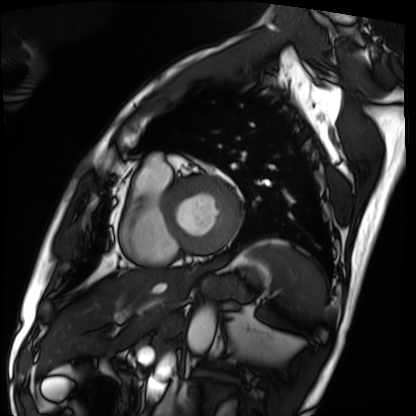
Summary:
Cardiac MRI. Subject group: patient.